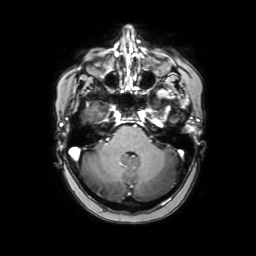
Q: What kind of scan is this?
A: 3 Tesla brain MRI.
Study: ring-enhancing brain masses.